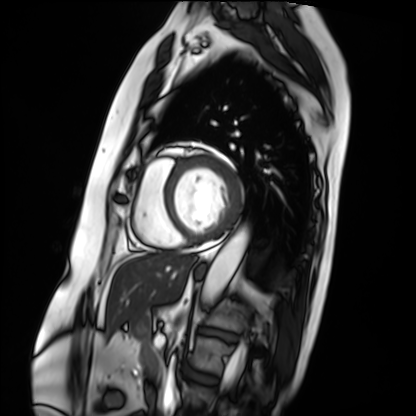
| field | value |
|---|---|
| modality | cardiac MRI |
| subject group | patient |